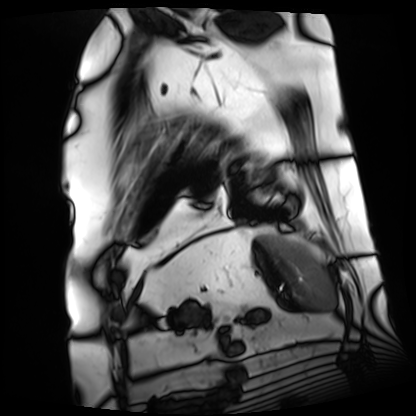
modality — cardiac MRI | subject group — patient.